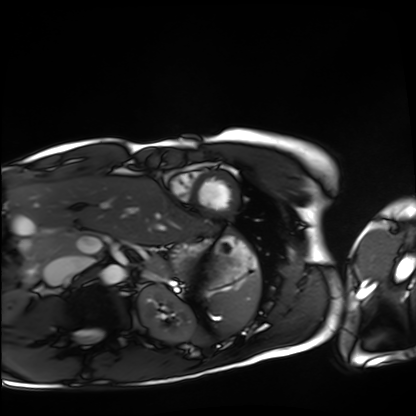
Cardiac MRI. Subject group: healthy volunteer.